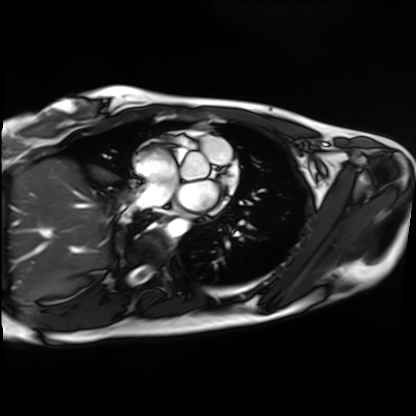
Cardiac MRI.
Subject group: healthy volunteer.